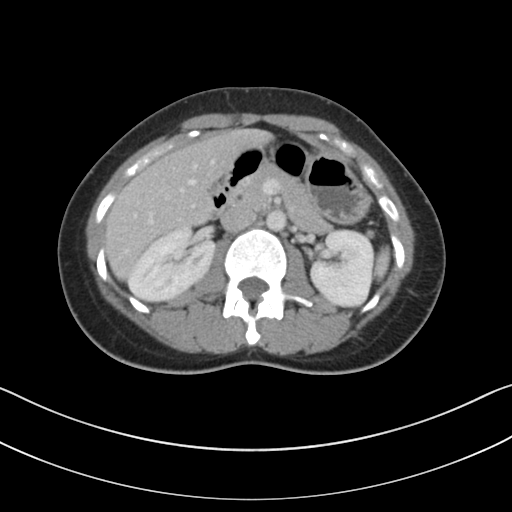
Clinical context: Multiphase abdominal CT, liver, portal venous phase. Patient: female, age 34.